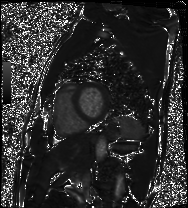
{"modality": "cardiac MRI", "cohort": "patient"}